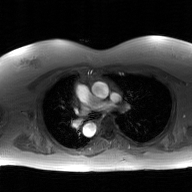
2D phase-contrast cine MRI of the ascending aorta, GAN super-resolution reconstruction.